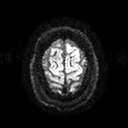
3 Tesla brain MRI. Series: diffusion tensor imaging (medium iso). Study: ring-enhancing brain masses.